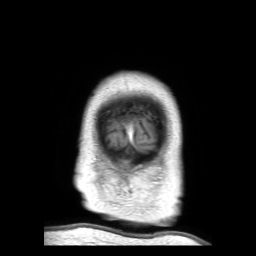
Clinical context: 3 Tesla brain MRI. Series: 3D T1-weighted TFE with SENSE. Study: ring-enhancing brain masses.